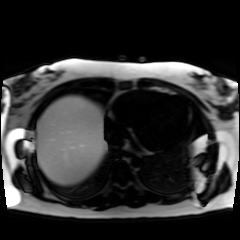
Chemical-shift-encoded cardiac MRI.